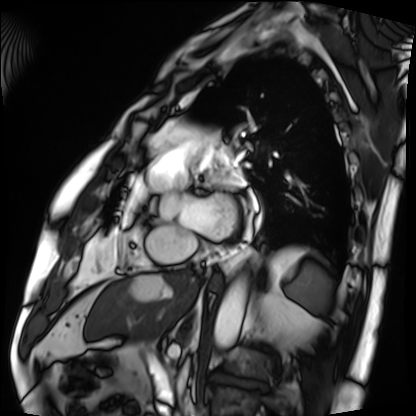
| field | value |
|---|---|
| modality | cardiac MRI |
| subject group | patient |